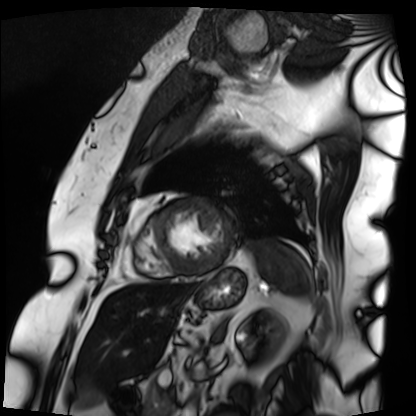
modality = cardiac MRI | subject group = patient.